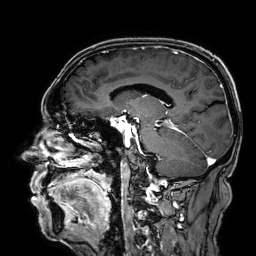
Summary:
3 Tesla brain MRI. Series: 3D T1-weighted. Study: ring-enhancing brain masses.